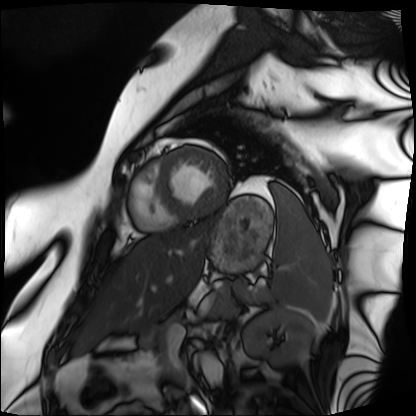
Cardiac MRI. Subject group: patient.